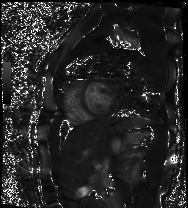
| field | value |
|---|---|
| modality | cardiac MR image of the myocardium |
| subject cohort | healthy volunteer |